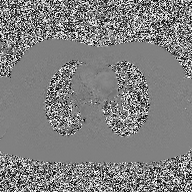
modality: 2D phase-contrast cine MRI of the ascending aorta.